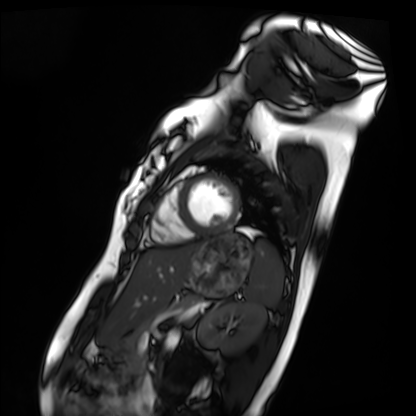
Cardiac MRI. Subject group: healthy volunteer.